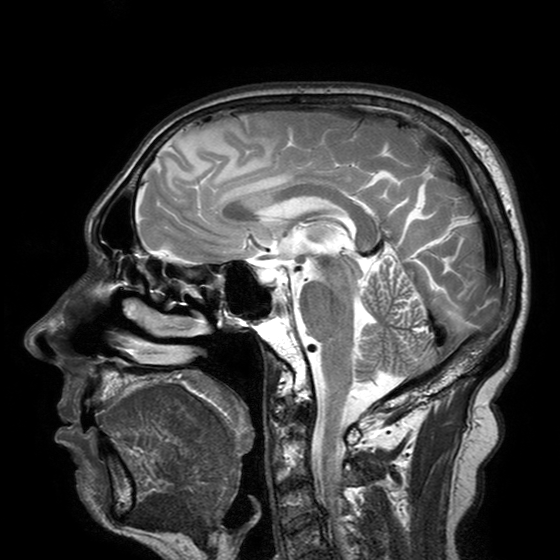
3 Tesla brain MRI. Series: T2-weighted turbo spin echo with SENSE. Study: ring-enhancing brain masses.